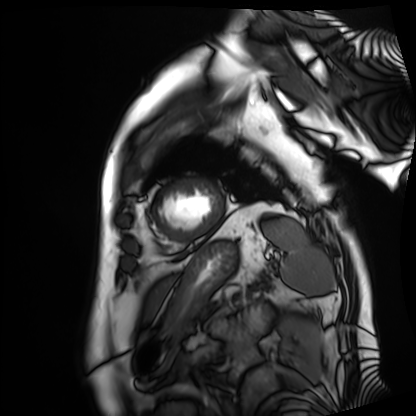
Cardiac MRI. Subject group: patient.